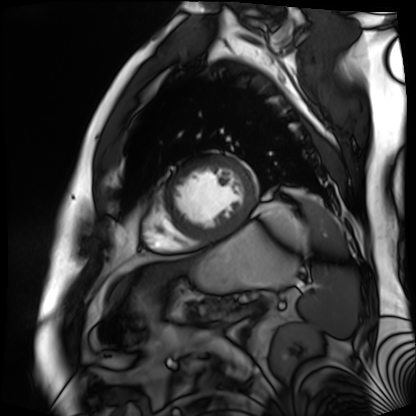
• modality — cardiac MR image of the myocardium
• subject cohort — cardiac patient